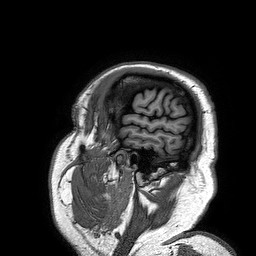
Q: What kind of scan is this?
A: 3 Tesla brain MRI.
Q: Series?
A: 3D T1-weighted turbo field echo.
Study: ring-enhancing brain masses.